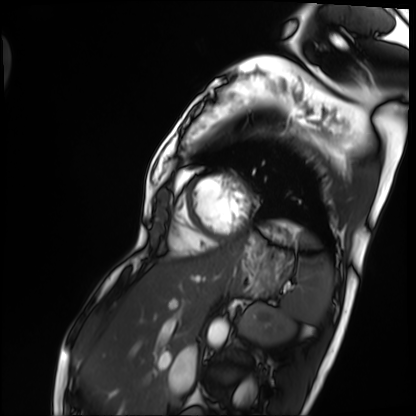
{
  "modality": "cardiac MRI",
  "cohort": "patient"
}